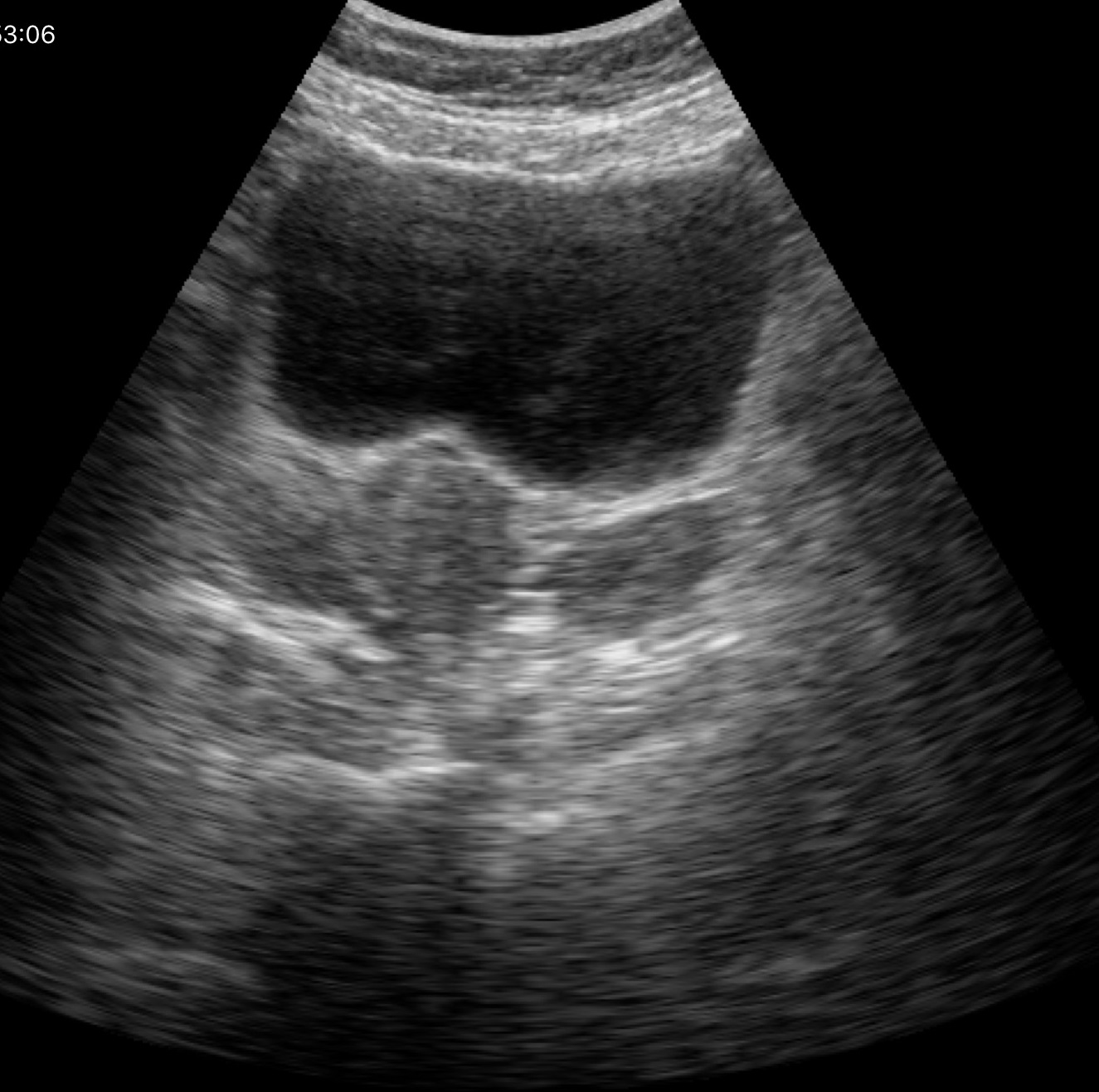
Genitourinary ultrasound.